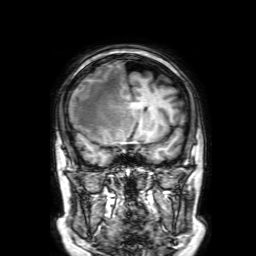
{"modality": {"type": "brain MRI", "field_strength": "3T"}, "series": "3D T1-weighted with SENSE", "study_topic": "ring-enhancing brain masses"}